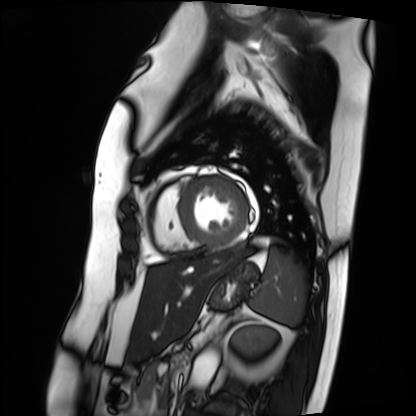
{
  "modality": "cardiac MRI",
  "cohort": "patient"
}